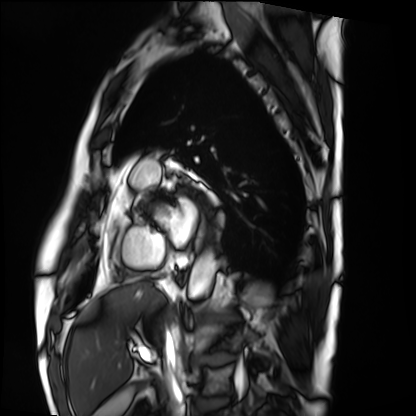
Cardiac MRI. Subject group: patient.